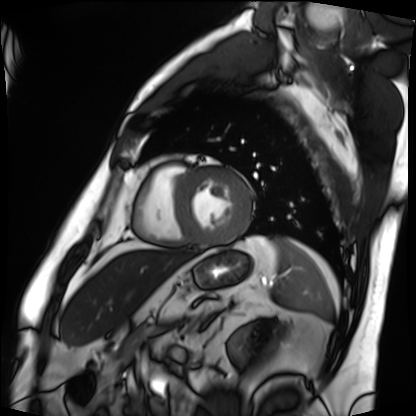
Case:
* modality — cardiac MRI
* subject group — patient